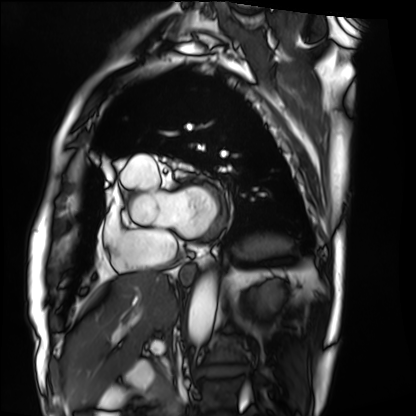
Clinical context:
Cardiac MRI. Subject group: patient.